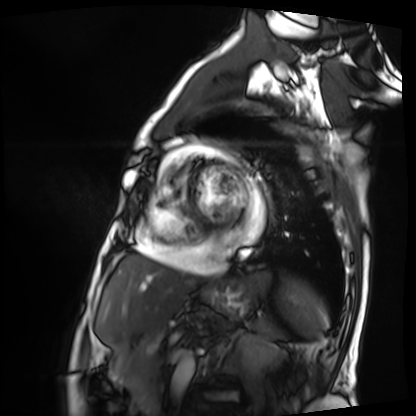
Cardiac MRI.
Subject group: patient.